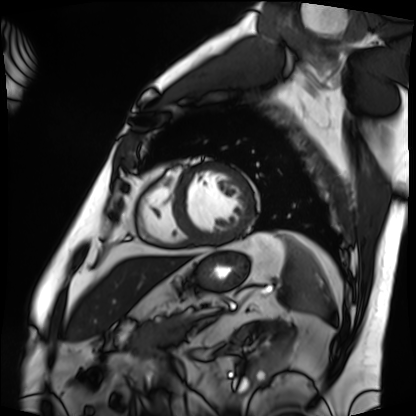
– modality · cardiac MRI
– subject group · patient